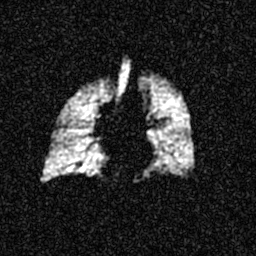
{
  "modality": "hyperpolarized 129Xe ventilation MRI of the lungs",
  "snr_level": "5 of 8 (the deposit holds this scan as its native image and as seven SNR-degraded versions)"
}